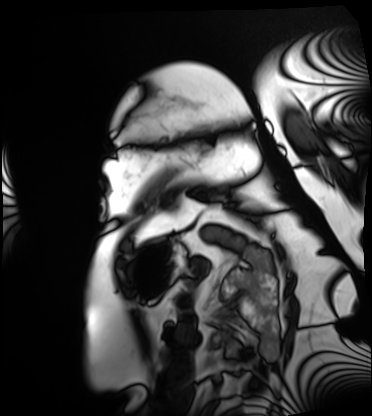
modality: cardiac MRI | subject group: patient.